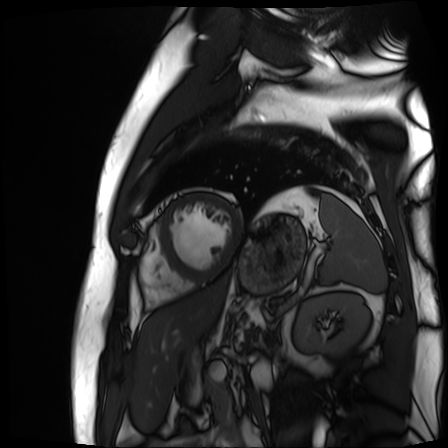
Clinical context: Cardiac MR image of the myocardium. Subject cohort: cardiac patient.